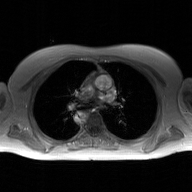
2D phase-contrast cine MRI of the ascending aorta, GAN super-resolution reconstruction.